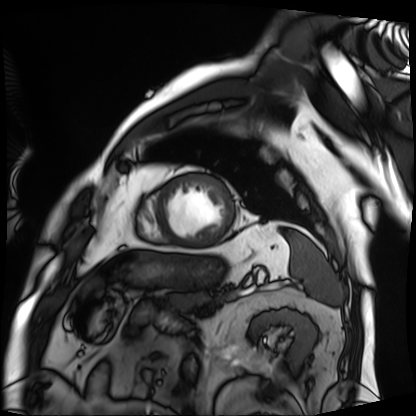
Cardiac MRI.
Subject group: patient.